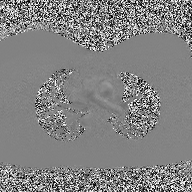
<case>
  <modality>
    <type>2D phase-contrast cine MRI</type>
    <region>ascending aorta</region>
    <reconstruction>high-resolution GRAPPA acquisition</reconstruction>
  </modality>
</case>